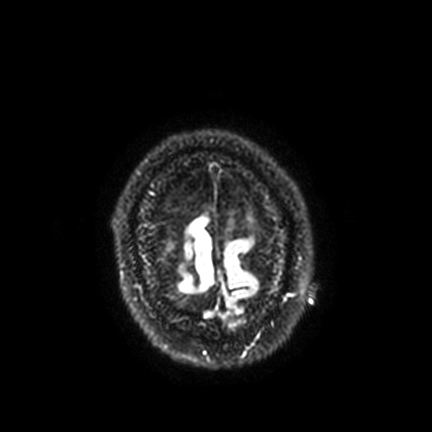
3 Tesla brain MRI.
Series: FLAIR VISTA with SENSE.
Study: ring-enhancing brain masses.